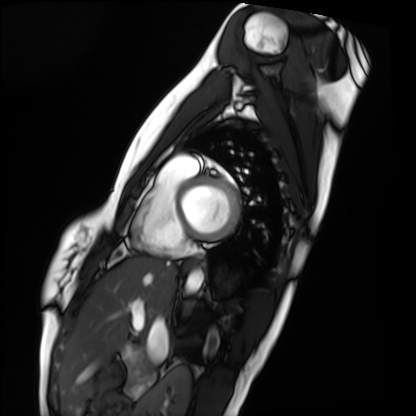
modality — cardiac MRI; subject group — healthy volunteer.